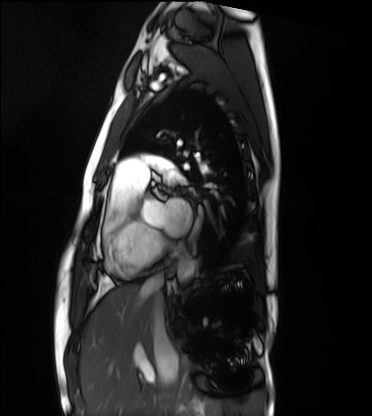
Summary:
Cardiac MRI. Subject group: healthy volunteer.